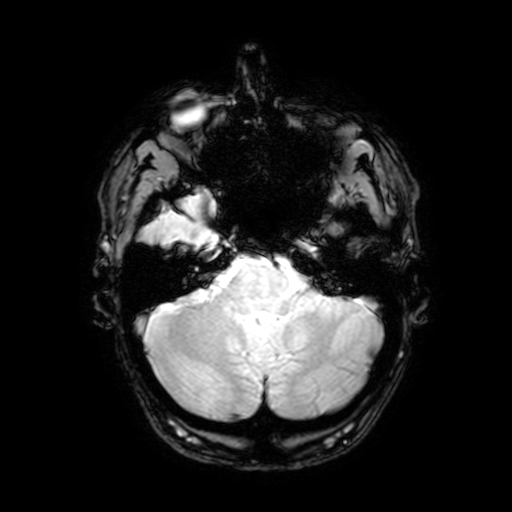
- modality — 3 Tesla brain MRI
- series — T2-weighted fast field echo with SENSE
- study — ring-enhancing brain masses